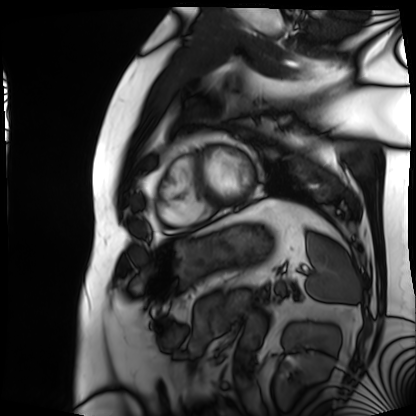
Cardiac MRI.
Subject group: patient.